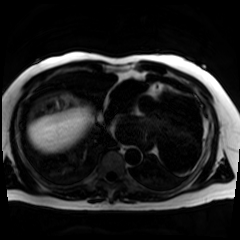
modality: chemical-shift-encoded cardiac MRI